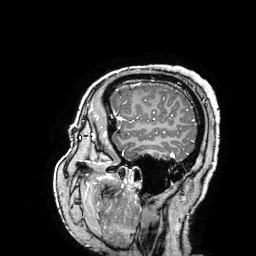
* modality: 3 Tesla brain MRI
* series: 3D T1-weighted turbo field echo with SENSE
* study: ring-enhancing brain masses